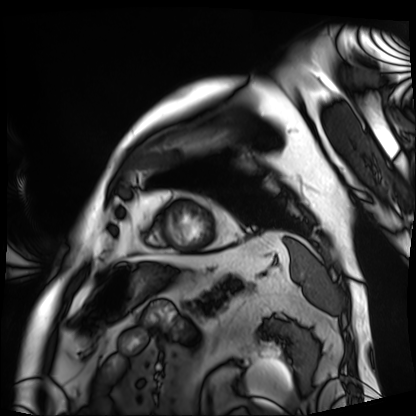
Case summary: Cardiac MRI. Subject group: patient.